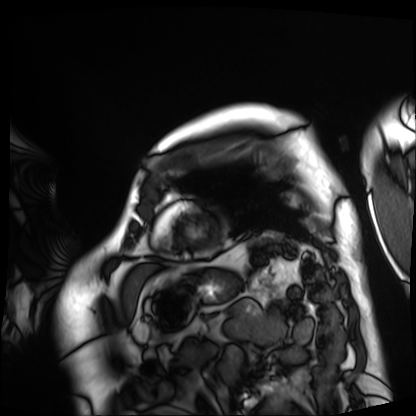
modality: cardiac MRI
cohort: patient